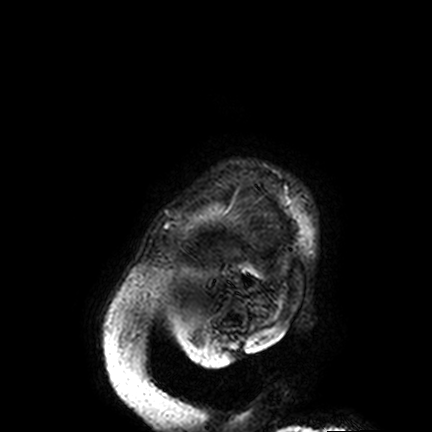
3 Tesla brain MRI. Series: FLAIR VISTA. Study: ring-enhancing brain masses.